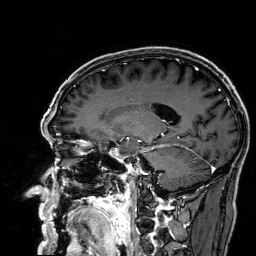
3 Tesla brain MRI. Series: 3D T1-weighted. Study: ring-enhancing brain masses.